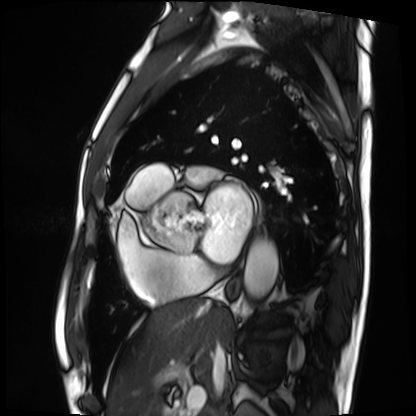
Summary:
Cardiac MRI. Subject group: patient.